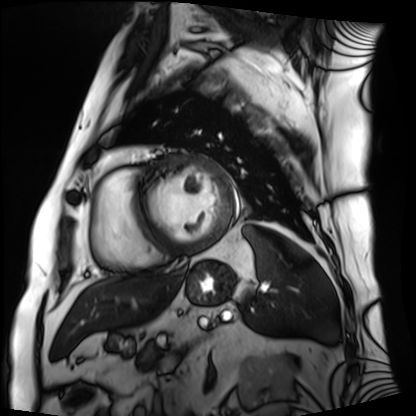
Cardiac MRI. Subject group: patient.